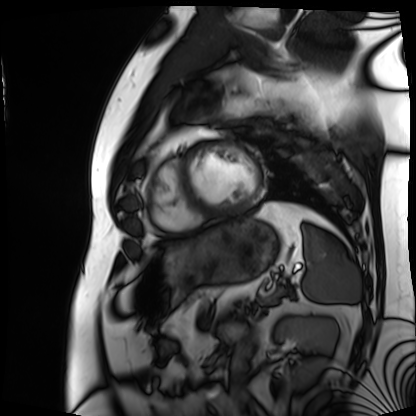
Case summary:
Cardiac MRI. Subject group: patient.